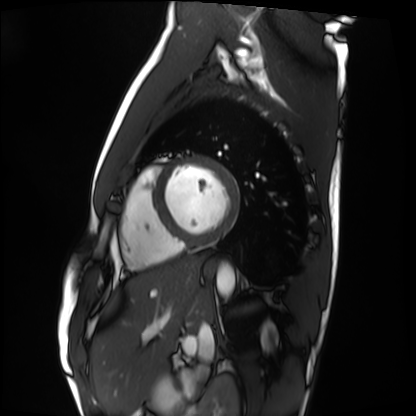
Cardiac MRI. Subject group: healthy volunteer.